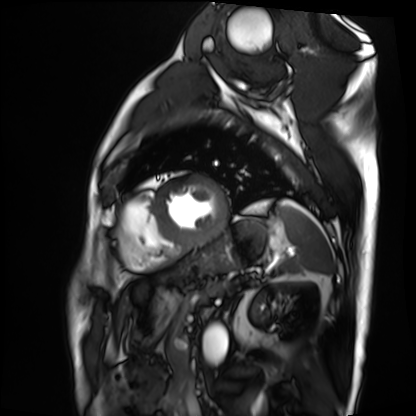
– modality: cardiac MRI
– subject group: patient